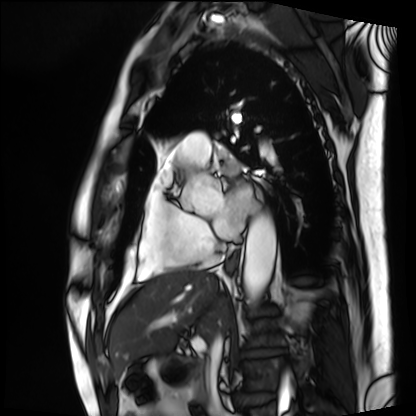
– modality: cardiac MRI
– subject group: patient